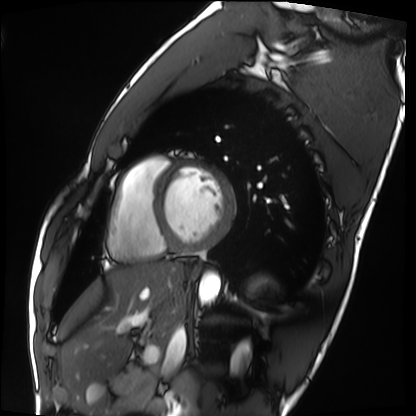
Cardiac MRI. Subject group: healthy volunteer.